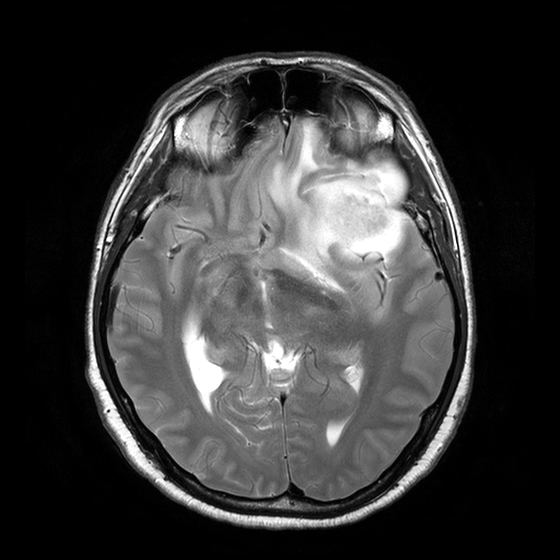
3 Tesla brain MRI. Series: T2-weighted turbo spin echo with CLEAR. Study: ring-enhancing brain masses.